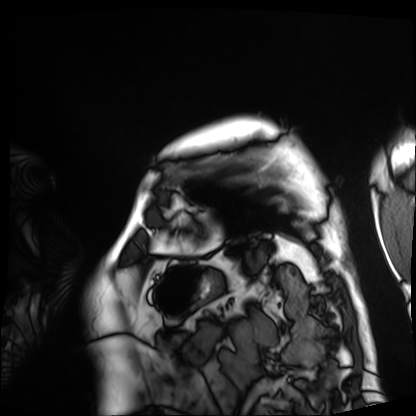
Cardiac MRI.
Subject group: patient.